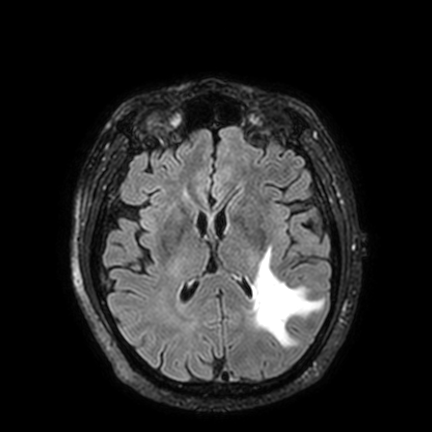
<case>
<modality>
  <type>brain MRI</type>
  <field_strength>3T</field_strength>
</modality>
<series>FLAIR VISTA with SENSE</series>
<study_topic>ring-enhancing brain masses</study_topic>
</case>